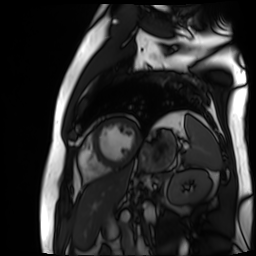
Cardiac MR image of the myocardium. Subject cohort: cardiac patient.